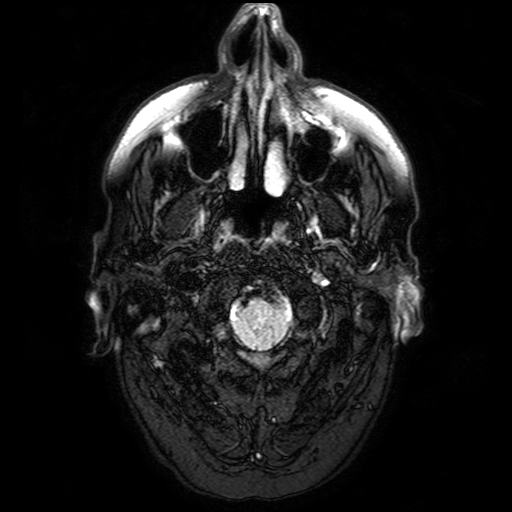
Q: What kind of scan is this?
A: 3 Tesla brain MRI.
Q: Series?
A: FLAIR with SPAIR.
Study: ring-enhancing brain masses.